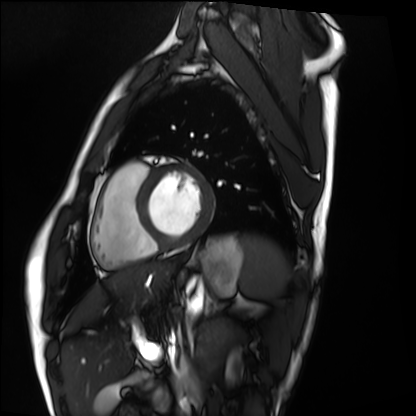
Clinical context:
Cardiac MRI. Subject group: healthy volunteer.